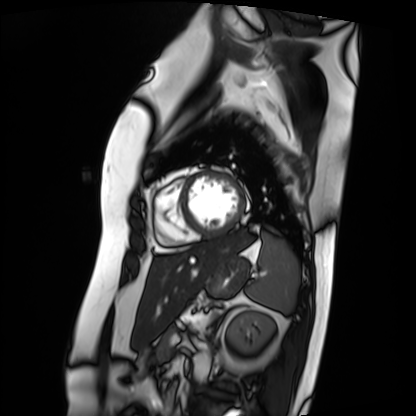
Cardiac MRI. Subject group: patient.